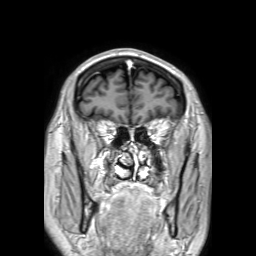
<record>
  <modality>
    <type>brain MRI</type>
    <field_strength>3T</field_strength>
  </modality>
  <series>3D T1-weighted TFE with SENSE</series>
  <study_topic>ring-enhancing brain masses</study_topic>
</record>